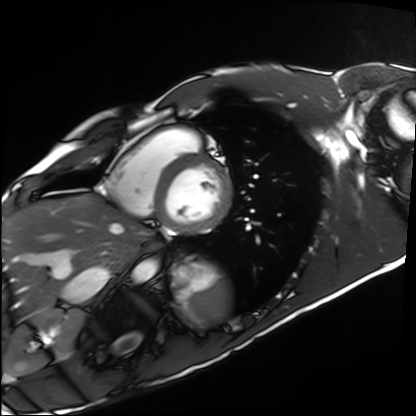
| field | value |
|---|---|
| modality | cardiac MRI |
| subject group | healthy volunteer |